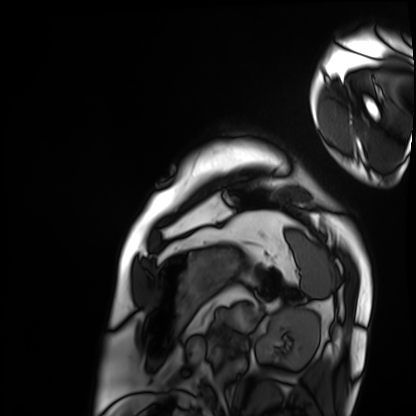
Case summary: Cardiac MRI. Subject group: patient.